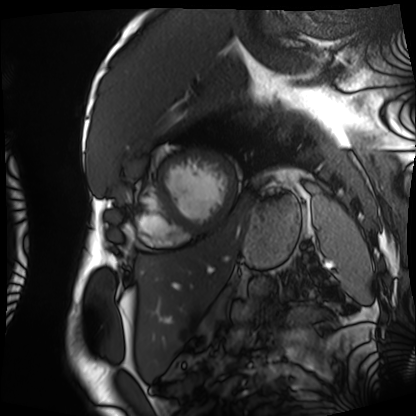
modality: cardiac MRI | subject group: patient.